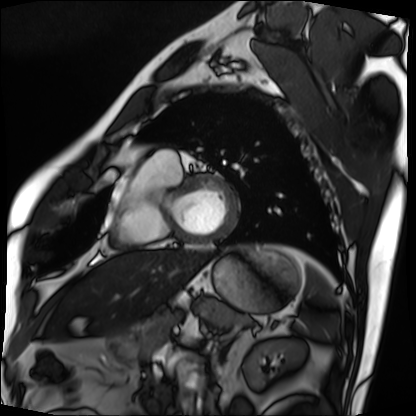
* modality · cardiac MRI
* subject group · patient